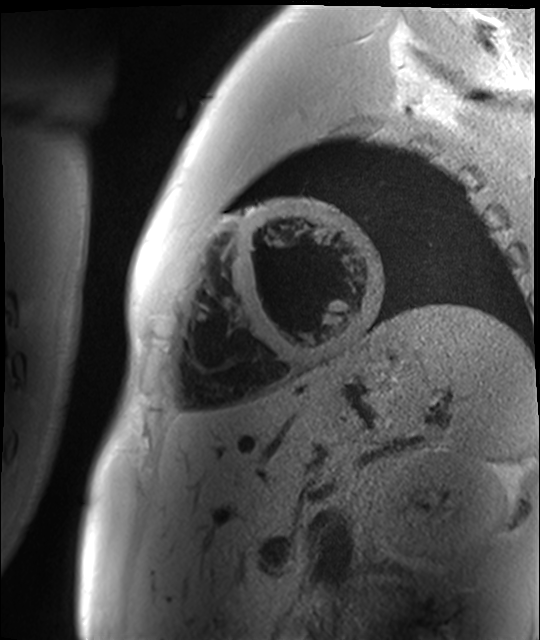
Summary:
Cardiac MR image of the myocardium. Subject cohort: healthy volunteer.